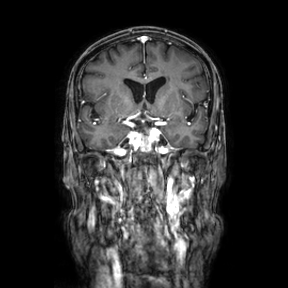
modality = 3 Tesla brain MRI; series = coronal; study = ring-enhancing brain masses.